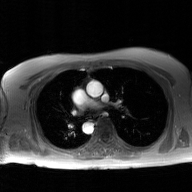
{
  "modality": {
    "type": "2D phase-contrast cine MRI",
    "region": "ascending aorta",
    "reconstruction": "GAN super-resolution reconstruction"
  }
}